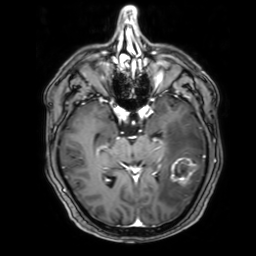
3 Tesla brain MRI. Series: 3D T1-weighted with SENSE. Study: ring-enhancing brain masses.